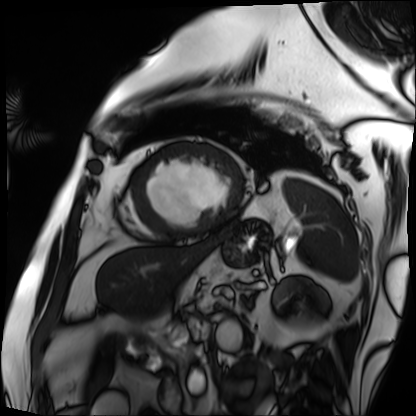
{
  "modality": "cardiac MRI",
  "cohort": "patient"
}